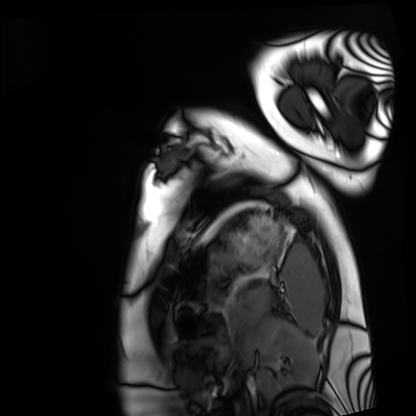
| field | value |
|---|---|
| modality | cardiac MRI |
| subject group | healthy volunteer |